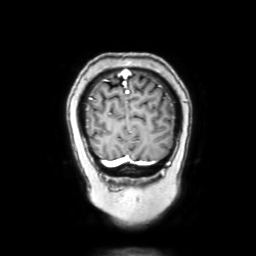
Case summary:
3 Tesla brain MRI. Study: ring-enhancing brain masses.